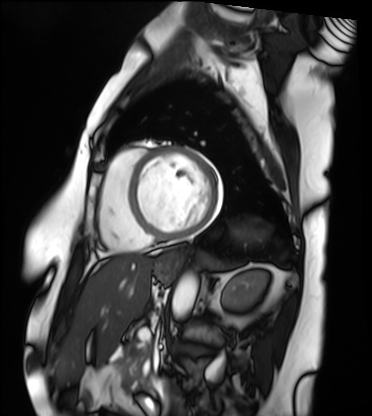
Cardiac MRI.
Subject group: patient.